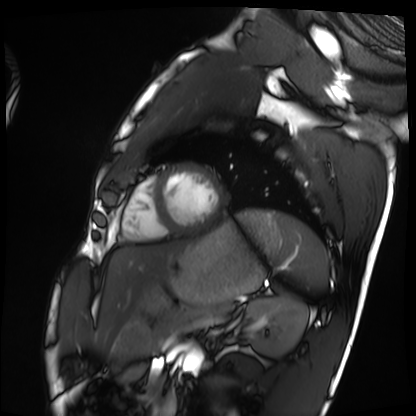
Cardiac MRI.
Subject group: healthy volunteer.